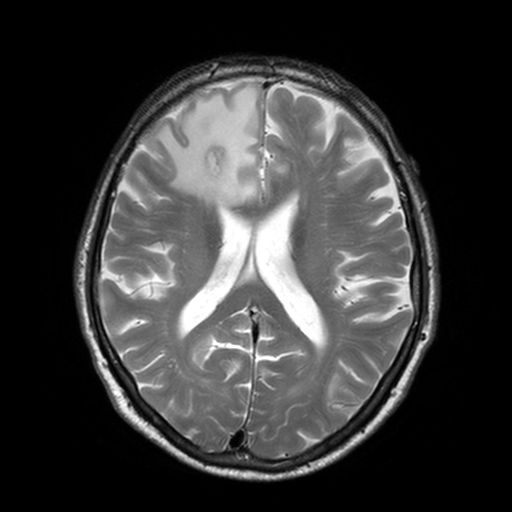
<case>
<modality>
  <type>brain MRI</type>
  <field_strength>3T</field_strength>
</modality>
<series>T2-weighted turbo spin echo, 3 mm</series>
<study_topic>ring-enhancing brain masses</study_topic>
</case>